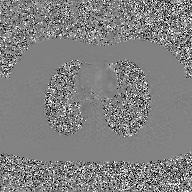
Case summary: 2D phase-contrast cine MRI of the ascending aorta, GAN super-resolution reconstruction.